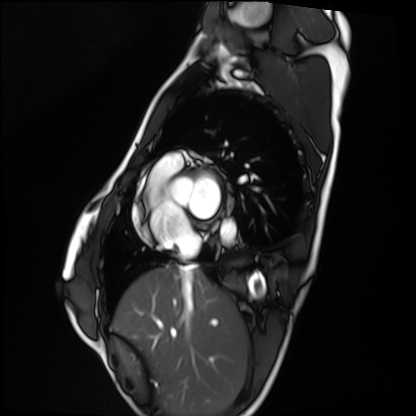
modality=cardiac MRI | subject group=healthy volunteer.